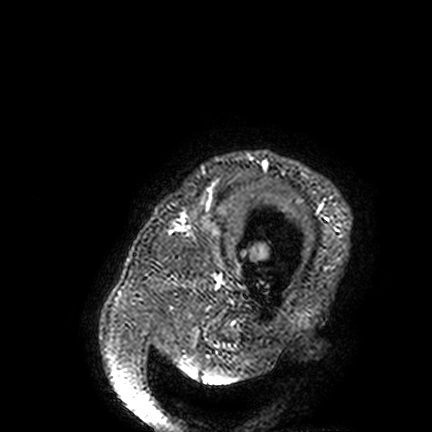
Case summary: 3 Tesla brain MRI. Series: FLAIR VISTA. Study: ring-enhancing brain masses.